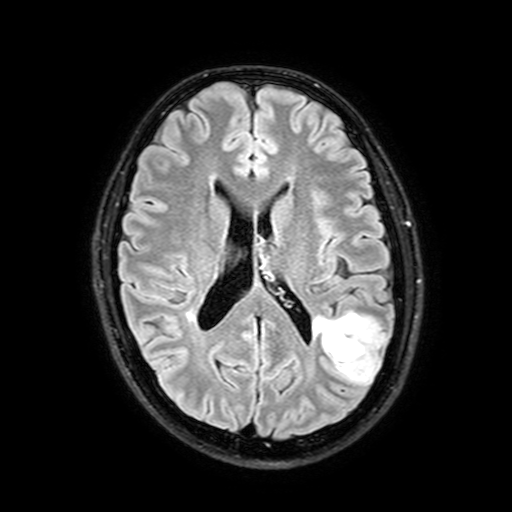
<case>
<modality>
  <type>brain MRI</type>
  <field_strength>3T</field_strength>
</modality>
<series>FLAIR with SPAIR, 3 mm</series>
<study_topic>ring-enhancing brain masses</study_topic>
</case>